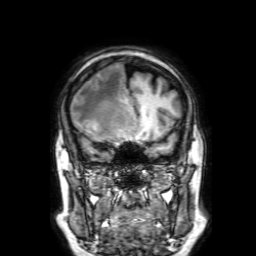
3 Tesla brain MRI. Series: 3D T1-weighted with SENSE. Study: ring-enhancing brain masses.